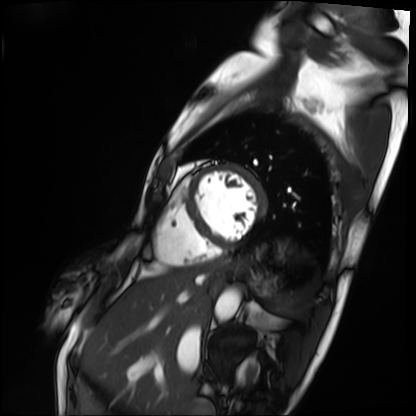
Cardiac MRI. Subject group: patient.